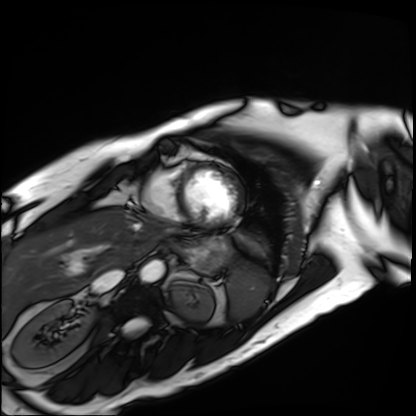
Cardiac MRI. Subject group: patient.